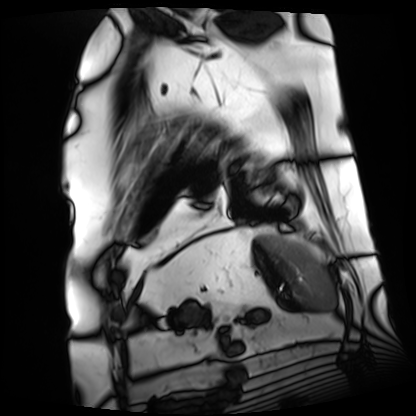
Case summary: Cardiac MRI. Subject group: patient.